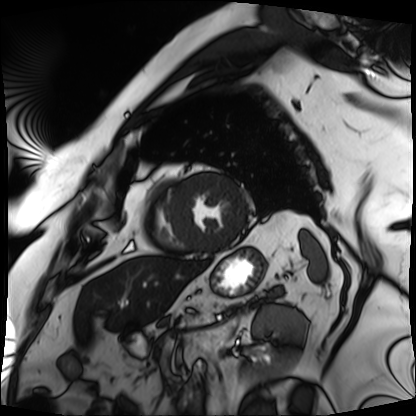
{"modality": "cardiac MRI", "cohort": "patient"}